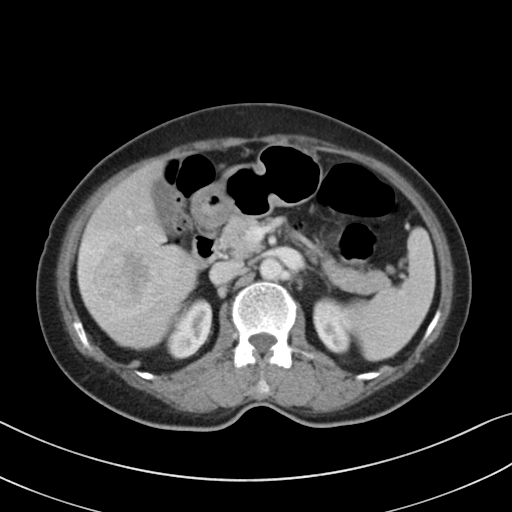
Case summary: Multiphase abdominal CT, liver, portal venous phase.